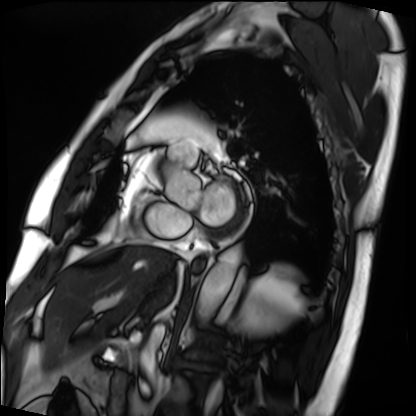
– modality · cardiac MRI
– subject group · patient